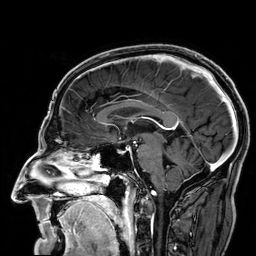
Q: What kind of scan is this?
A: 3 Tesla brain MRI.
Q: Series?
A: 3D T1-weighted.
Study: ring-enhancing brain masses.